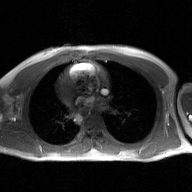
* modality — 2D phase-contrast cine MRI of the ascending aorta, GAN super-resolution reconstruction